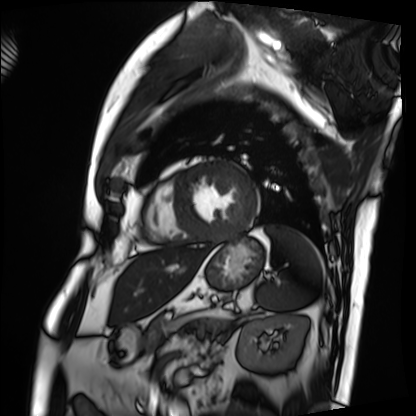
Cardiac MRI. Subject group: patient.